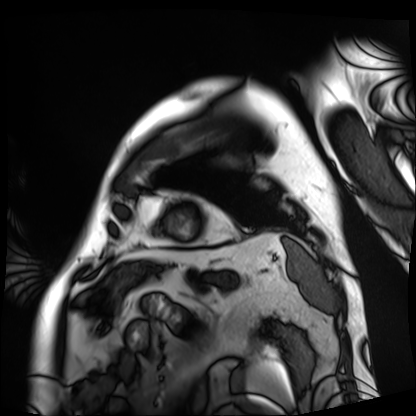
Summary:
Cardiac MRI. Subject group: patient.